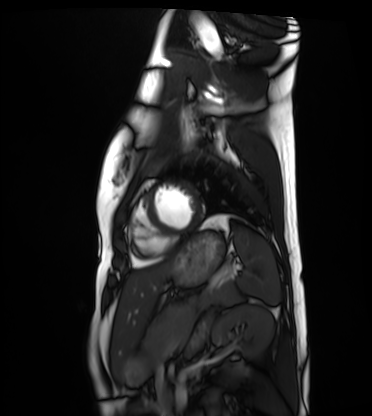
Cardiac MRI.
Subject group: healthy volunteer.